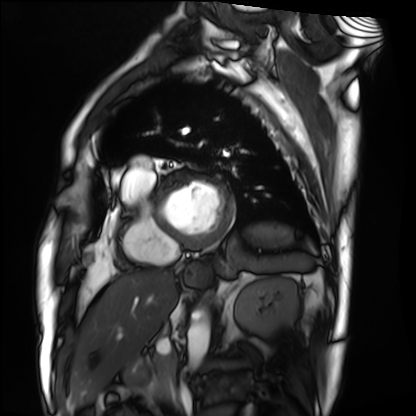
modality=cardiac MRI
subject group=patient